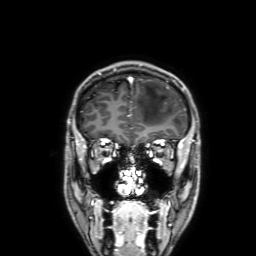
| field | value |
|---|---|
| modality | 3 Tesla brain MRI |
| series | 3D T1-weighted with SENSE |
| study | ring-enhancing brain masses |